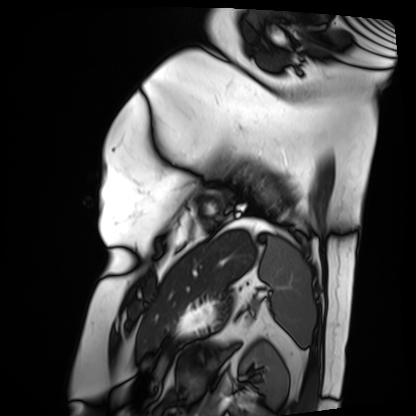
Cardiac MRI. Subject group: patient.